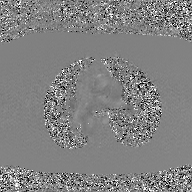
Q: What kind of scan is this?
A: 2D phase-contrast cine MRI of the ascending aorta, GAN super-resolution reconstruction.